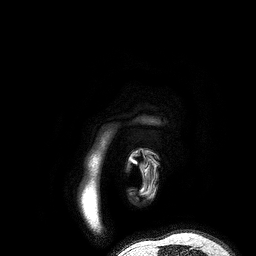
– modality — 3 Tesla brain MRI
– series — 3D T1-weighted turbo field echo
– study — ring-enhancing brain masses